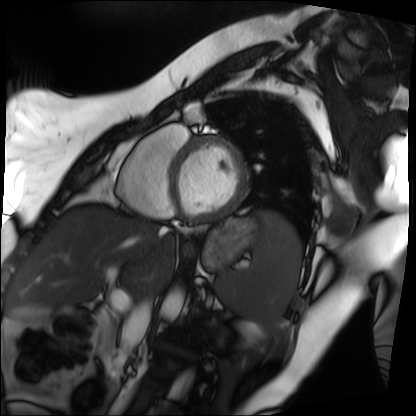
Cardiac MRI.
Subject group: patient.